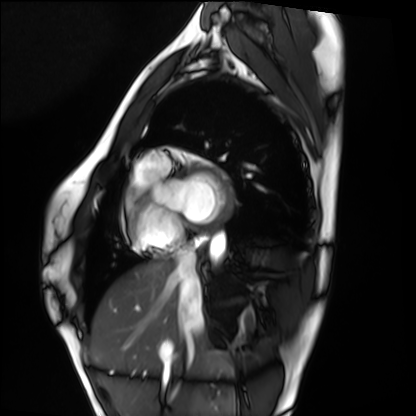
{"modality": "cardiac MRI", "cohort": "healthy volunteer"}